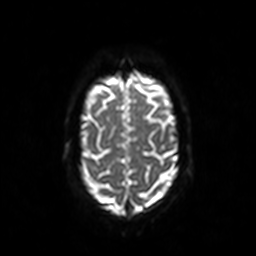
modality: 3 Tesla brain MRI
study: ring-enhancing brain masses